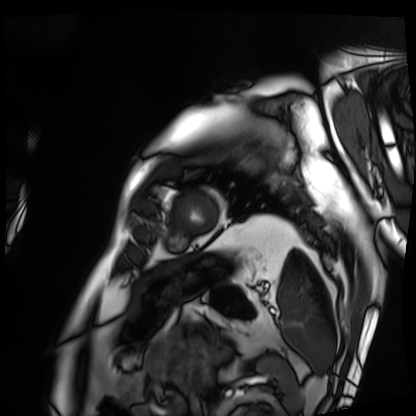
Summary:
Cardiac MRI. Subject group: patient.